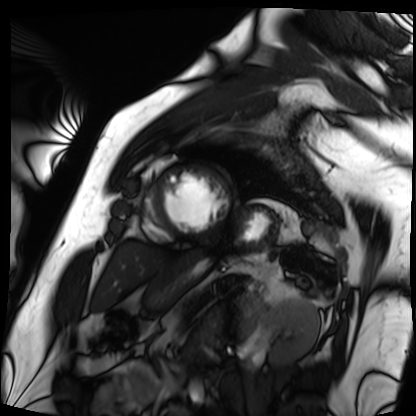
Cardiac MRI. Subject group: patient.